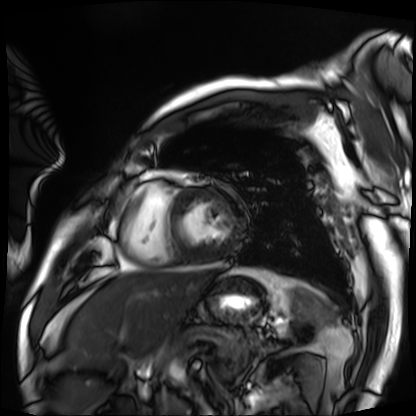
Summary:
Cardiac MRI. Subject group: patient.